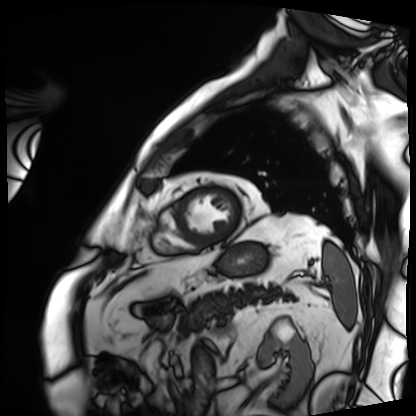
Summary: Cardiac MRI. Subject group: patient.